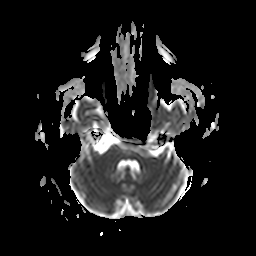
3 Tesla brain MRI.
Series: apparent diffusion coefficient (ADC) map.
Study: ring-enhancing brain masses.